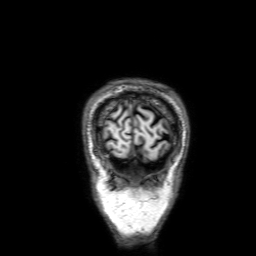
| field | value |
|---|---|
| modality | 3 Tesla brain MRI |
| study | ring-enhancing brain masses |